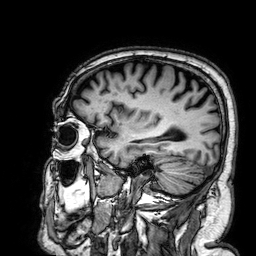
Summary: 3 Tesla brain MRI. Study: ring-enhancing brain masses.